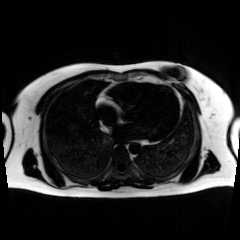
Q: What kind of scan is this?
A: Chemical-shift-encoded cardiac MRI.